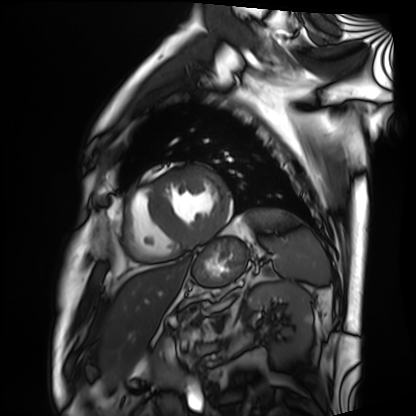
modality: cardiac MRI; subject group: patient.